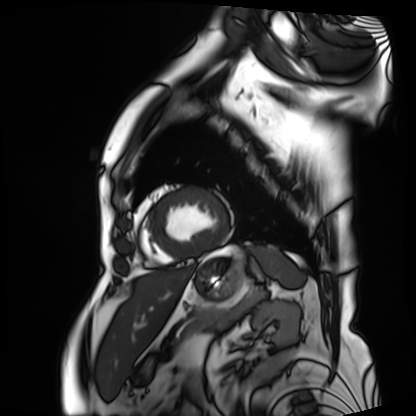
modality: cardiac MRI
cohort: patient